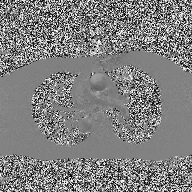
modality = 2D phase-contrast cine MRI of the ascending aorta.